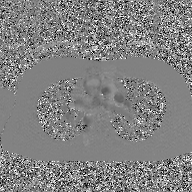
• modality · 2D phase-contrast cine MRI of the ascending aorta, GAN super-resolution reconstruction